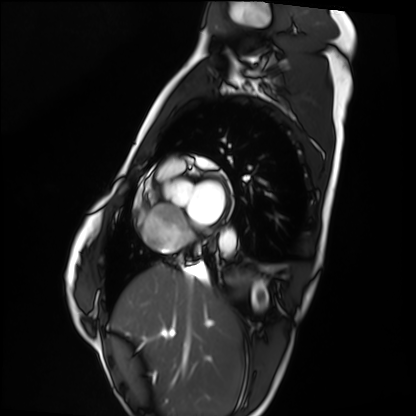
Cardiac MRI.
Subject group: healthy volunteer.